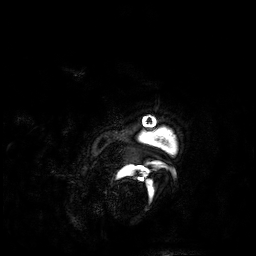
3 Tesla brain MRI. Series: 3D T1-weighted. Study: ring-enhancing brain masses.